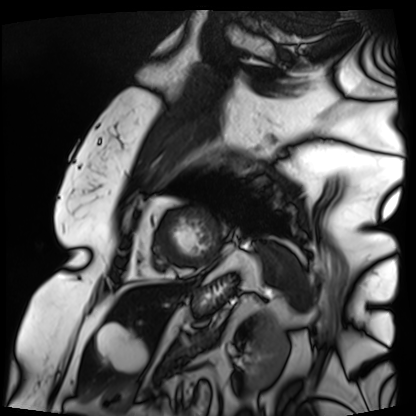
Case:
• modality: cardiac MRI
• subject group: patient